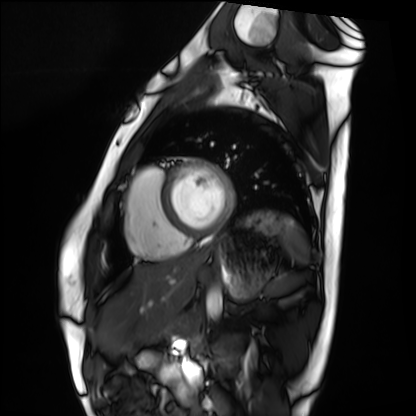
– modality: cardiac MRI
– subject group: healthy volunteer